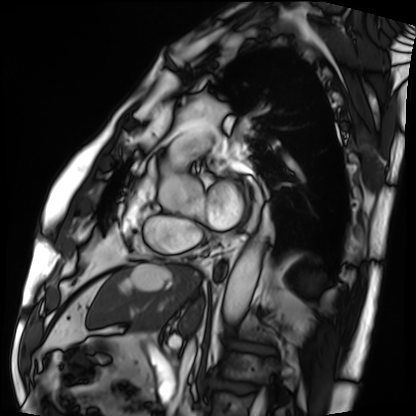
Summary:
Cardiac MRI. Subject group: patient.